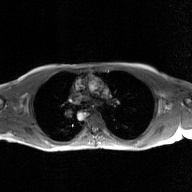
Q: What kind of scan is this?
A: 2D phase-contrast cine MRI of the ascending aorta, GAN super-resolution reconstruction.